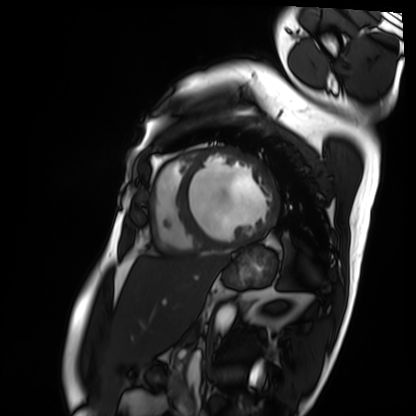
modality: cardiac MRI
subject group: patient